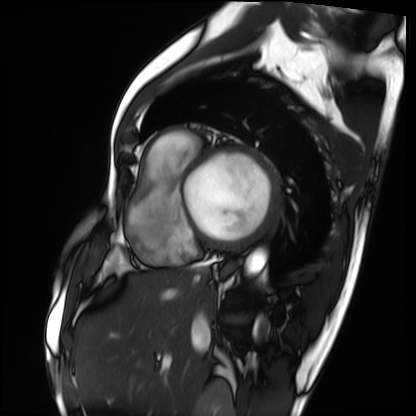
modality: cardiac MRI | subject group: patient.